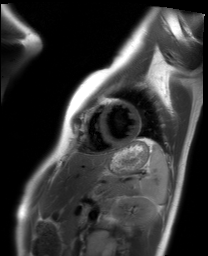
Cardiac MRI. Subject group: healthy volunteer.